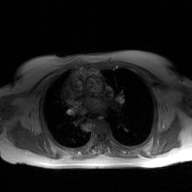
Q: What kind of scan is this?
A: 2D phase-contrast cine MRI of the ascending aorta, GAN super-resolution reconstruction.